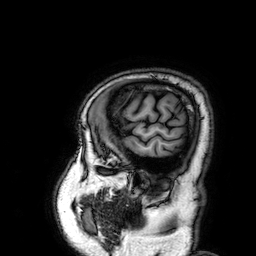
Case summary: 3 Tesla brain MRI. Series: 3D T1-weighted. Study: ring-enhancing brain masses.